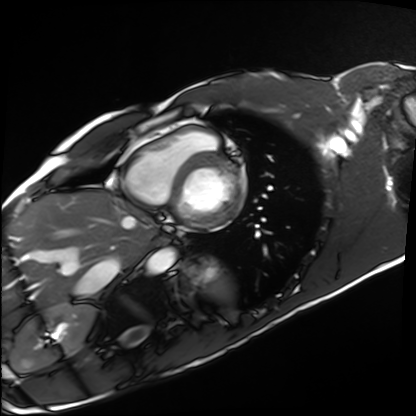
modality — cardiac MRI | subject group — healthy volunteer.